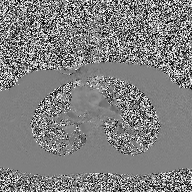
- modality · 2D phase-contrast cine MRI of the ascending aorta